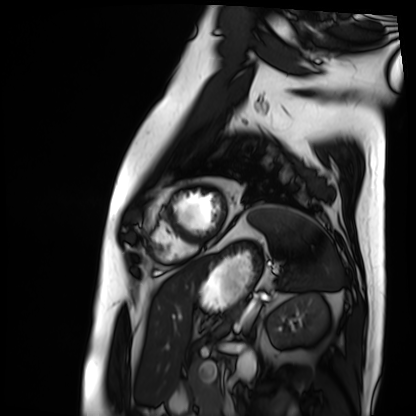
Summary:
Cardiac MRI. Subject group: patient.